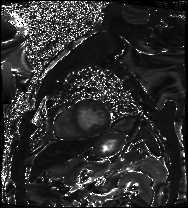
{
  "modality": "cardiac MRI",
  "cohort": "patient"
}